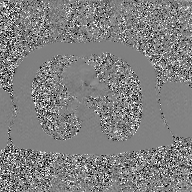
Clinical context: 2D phase-contrast cine MRI of the ascending aorta, GAN super-resolution reconstruction.